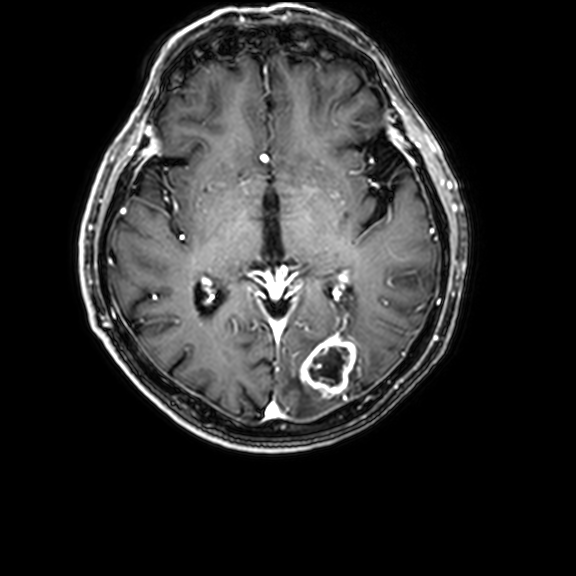
modality:
  type: brain MRI
  field_strength: 3T
series: 3D T1-weighted with CLEAR
study_topic: ring-enhancing brain masses